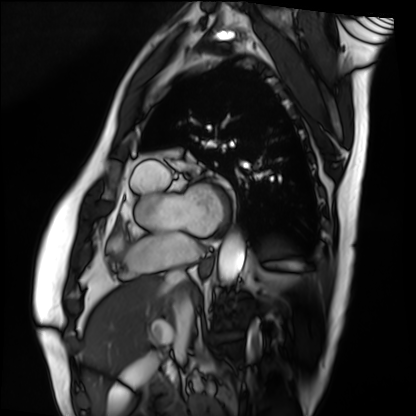
Cardiac MRI. Subject group: patient.